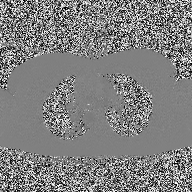
  modality:
    type: 2D phase-contrast cine MRI
    region: ascending aorta
    reconstruction: high-resolution GRAPPA acquisition